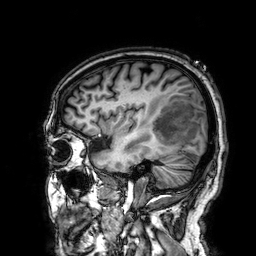
– modality — 3 Tesla brain MRI
– series — 3D T1-weighted
– study — ring-enhancing brain masses